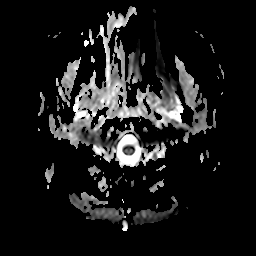
Q: What kind of scan is this?
A: 3 Tesla brain MRI.
Q: Series?
A: Apparent diffusion coefficient (ADC) map.
Study: ring-enhancing brain masses.